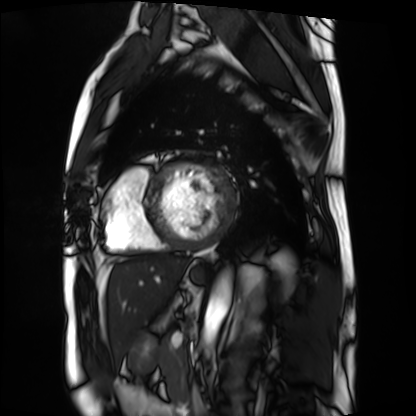
  modality: cardiac MRI
  cohort: patient